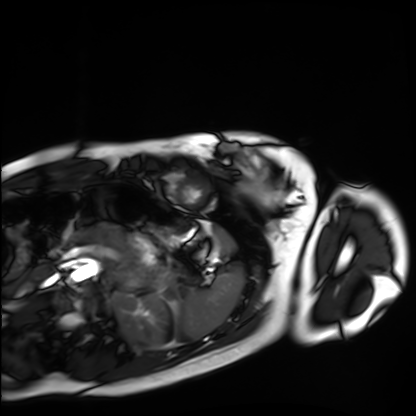
Q: What kind of scan is this?
A: Cardiac MRI.
Subject group: healthy volunteer.